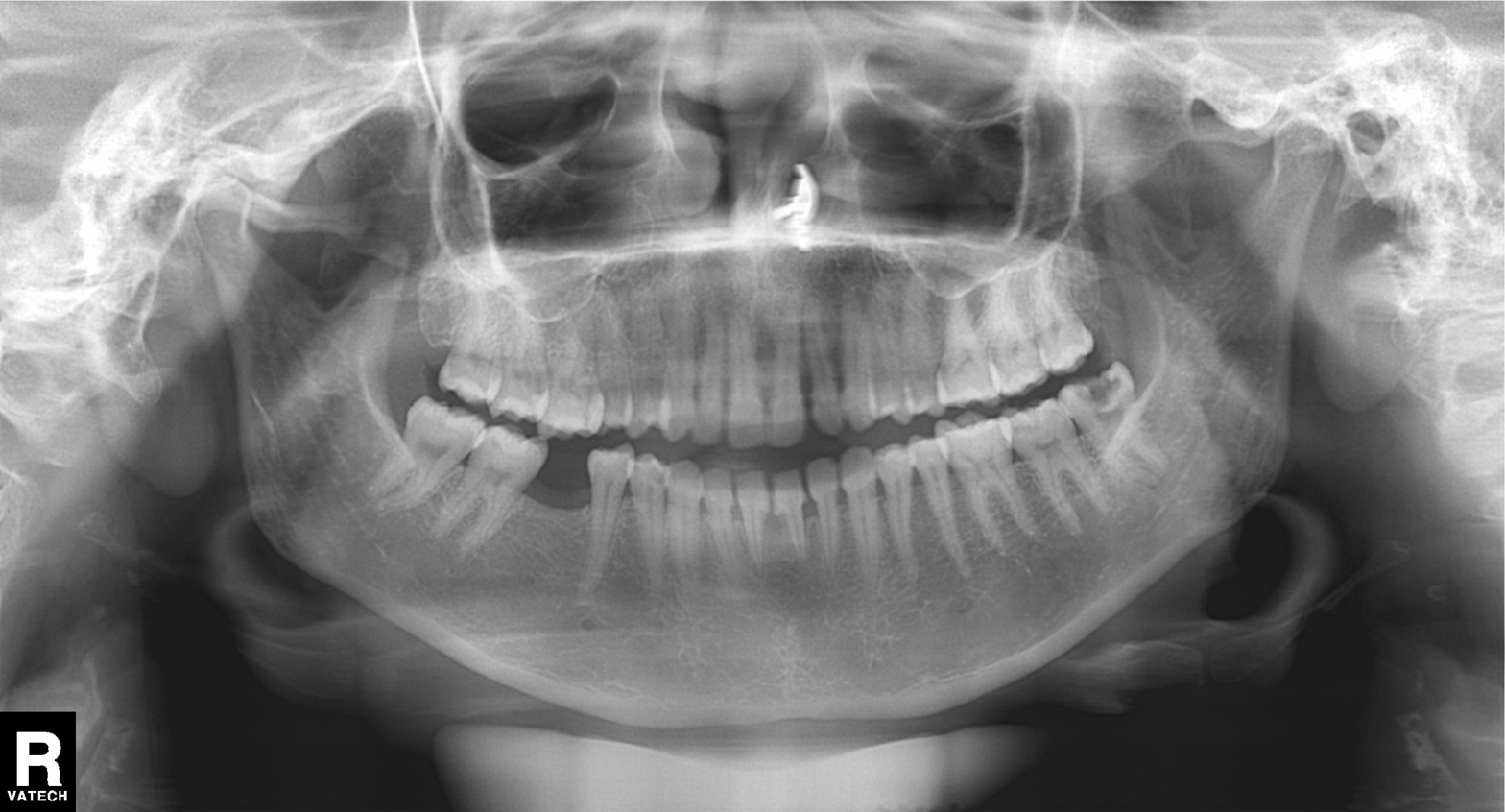
Clinical context: Panoramic dental radiograph (orthopantomogram).
Impression: Tooth impaction.